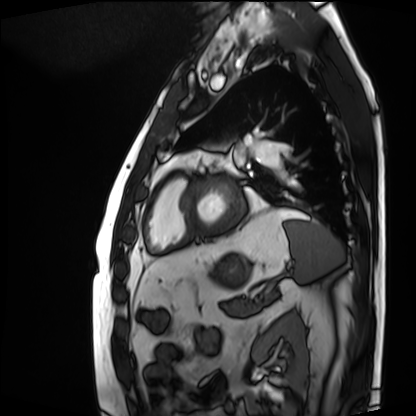
Summary: Cardiac MRI. Subject group: patient.